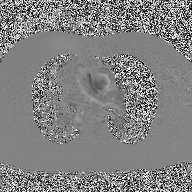
modality = 2D phase-contrast cine MRI of the ascending aorta.